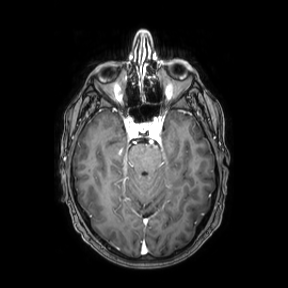
3 Tesla brain MRI. Series: axial. Study: ring-enhancing brain masses.